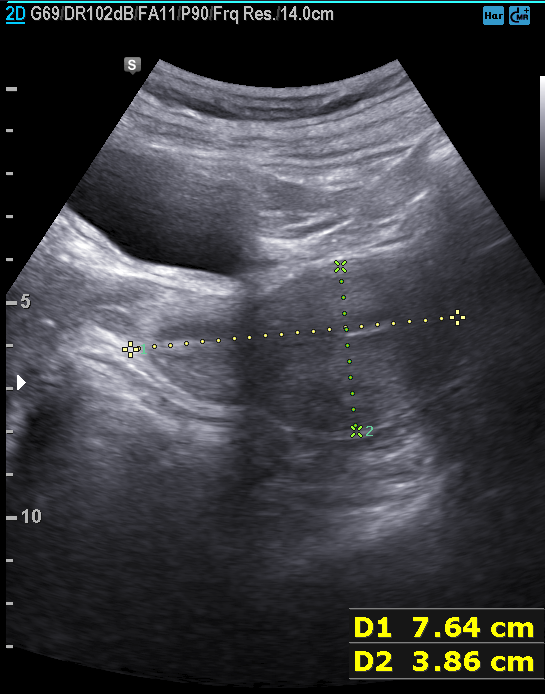
Clinical context:
Genitourinary ultrasound.